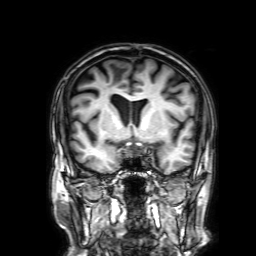
3 Tesla brain MRI.
Study: ring-enhancing brain masses.